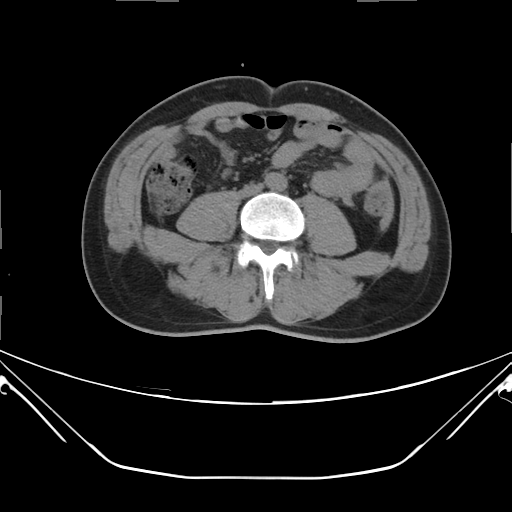
Q: What kind of scan is this?
A: Multiphase abdominal CT, liver, non-contrast phase.
Q: Patient?
A: Male, age 48.
Q: History?
A: Viral hepatitis.